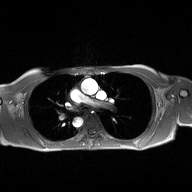
modality: 2D phase-contrast cine MRI of the ascending aorta